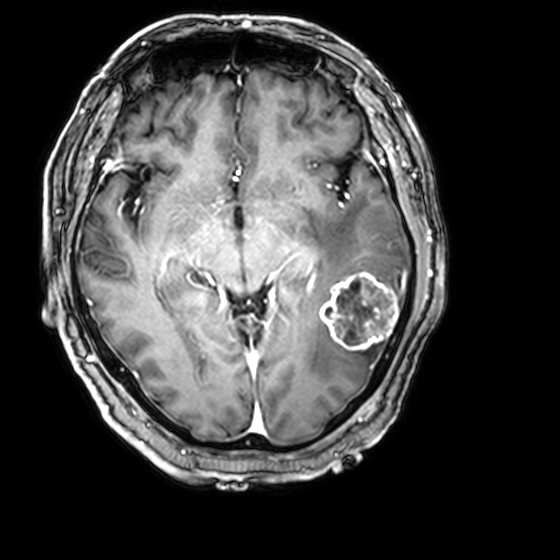
{
  "modality": {
    "type": "brain MRI",
    "field_strength": "3T"
  },
  "series": "3D T1-weighted with CLEAR",
  "study_topic": "ring-enhancing brain masses"
}